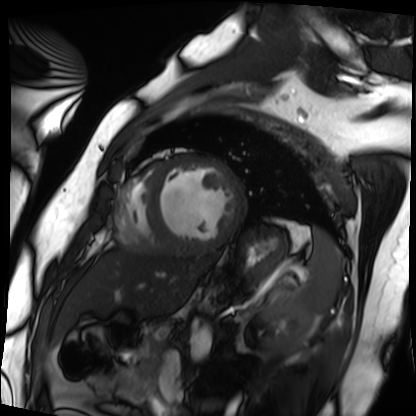
Cardiac MRI. Subject group: patient.